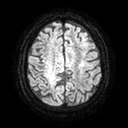
modality:
  type: brain MRI
  field_strength: 3T
series: diffusion tensor imaging (medium iso)
study_topic: ring-enhancing brain masses